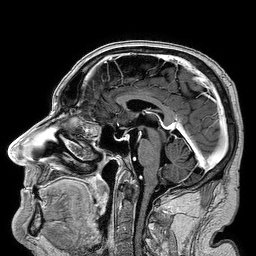
Case summary: 3 Tesla brain MRI. Series: 3D T1-weighted turbo field echo. Study: ring-enhancing brain masses.